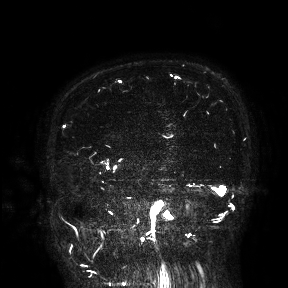
modality: 3 Tesla brain MRI; study: ring-enhancing brain masses.